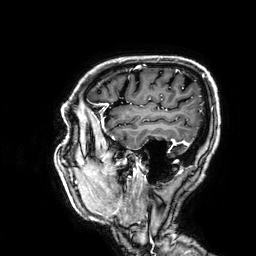
Q: What kind of scan is this?
A: 3 Tesla brain MRI.
Q: Series?
A: 3D T1-weighted.
Study: ring-enhancing brain masses.